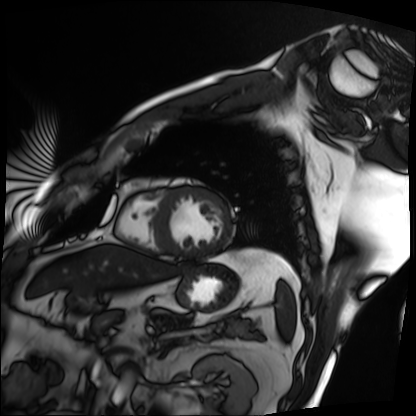
Clinical context: Cardiac MRI. Subject group: patient.